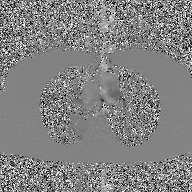
- modality: 2D phase-contrast cine MRI of the ascending aorta, GAN super-resolution reconstruction